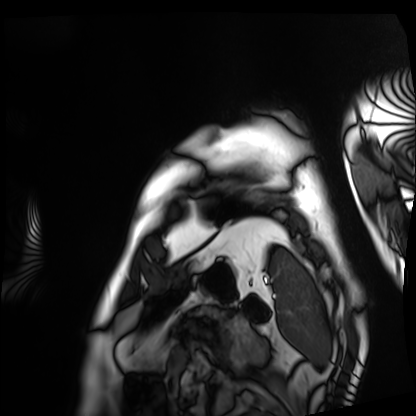
Summary:
Cardiac MRI. Subject group: patient.